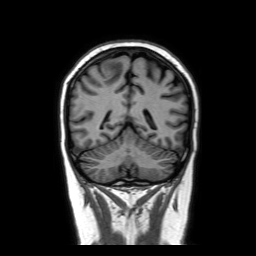
{
  "modality": {
    "type": "brain MRI",
    "field_strength": "3T"
  },
  "series": "coronal without contrast",
  "study_topic": "ring-enhancing brain masses"
}